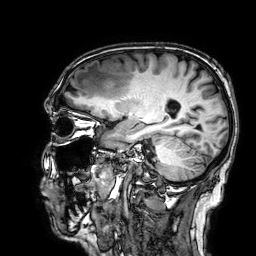
{"modality": {"type": "brain MRI", "field_strength": "3T"}, "series": "3D T1-weighted", "study_topic": "ring-enhancing brain masses"}